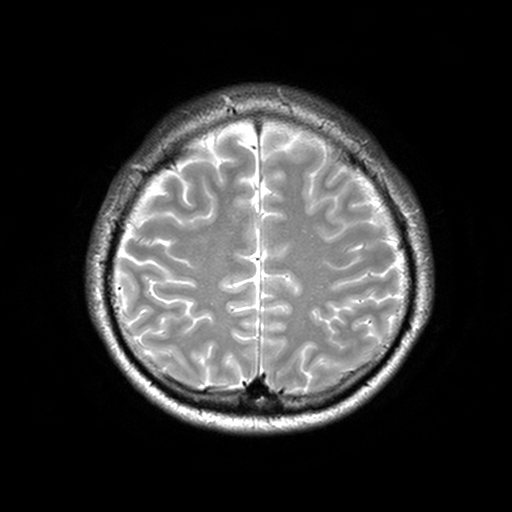
| field | value |
|---|---|
| modality | 3 Tesla brain MRI |
| series | T2-weighted turbo spin echo, 3 mm |
| study | ring-enhancing brain masses |